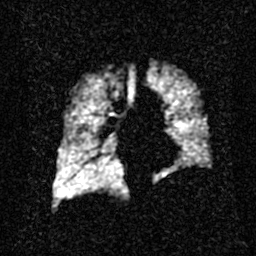
Hyperpolarized 129Xe ventilation MRI of the lungs. SNR level 2 of 8 (the deposit holds this scan as its native image and as seven SNR-degraded versions).